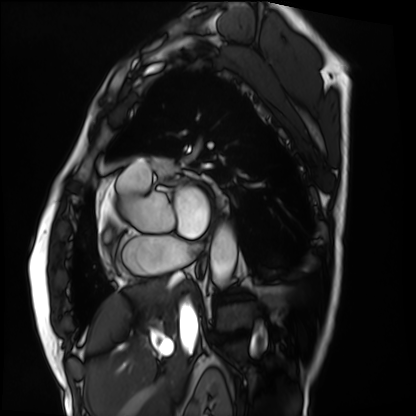
Case summary:
Cardiac MRI. Subject group: patient.